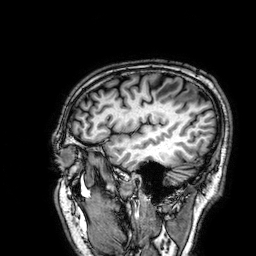
3 Tesla brain MRI. Series: 3D T1-weighted. Study: ring-enhancing brain masses.